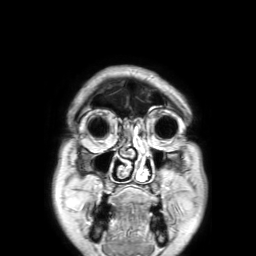
3 Tesla brain MRI. Series: 3D T1-weighted TFE with SENSE. Study: ring-enhancing brain masses.